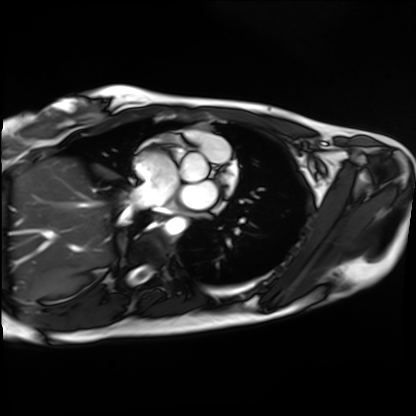
Cardiac MRI. Subject group: healthy volunteer.